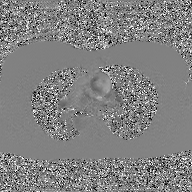
modality: 2D phase-contrast cine MRI of the ascending aorta, GAN super-resolution reconstruction.